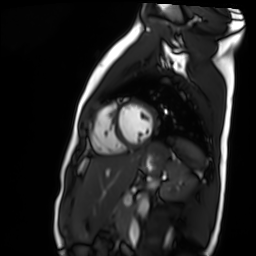
Clinical context:
Cardiac MR image of the myocardium. Subject cohort: healthy volunteer.